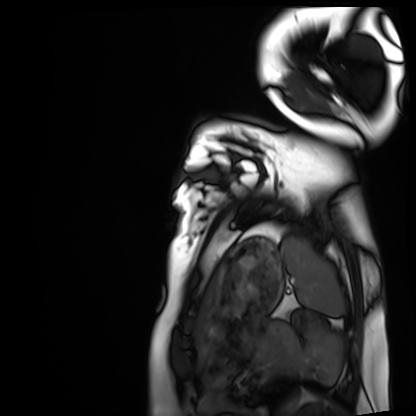
Cardiac MRI. Subject group: healthy volunteer.